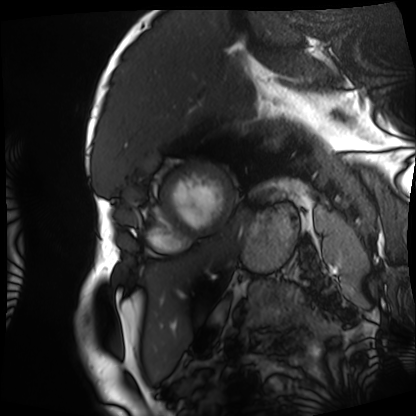
modality=cardiac MRI; subject group=patient.